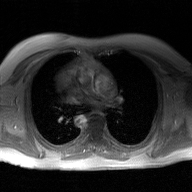
modality: 2D phase-contrast cine MRI of the ascending aorta, GAN super-resolution reconstruction